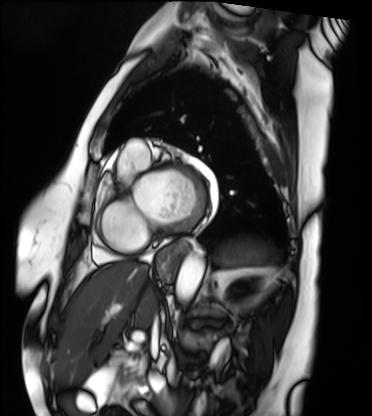
Summary:
Cardiac MRI. Subject group: patient.